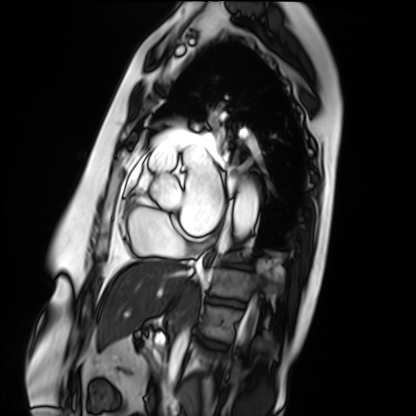
Q: What kind of scan is this?
A: Cardiac MRI.
Subject group: patient.